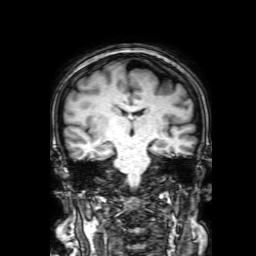
Summary: 3 Tesla brain MRI. Series: 3D T1-weighted with SENSE. Study: ring-enhancing brain masses.